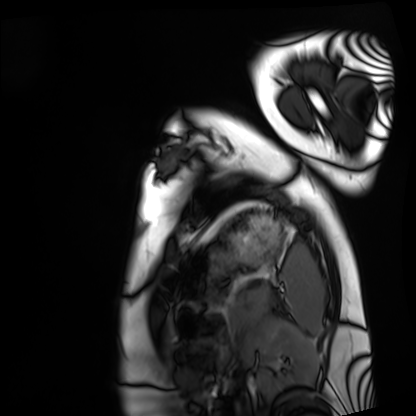
Cardiac MRI.
Subject group: healthy volunteer.